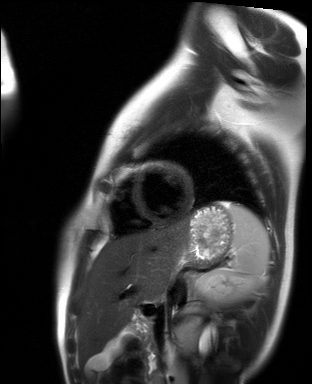
– modality · cardiac MR image of the myocardium
– subject cohort · healthy volunteer